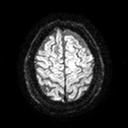
Summary: 3 Tesla brain MRI. Series: diffusion tensor imaging (medium iso). Study: ring-enhancing brain masses.